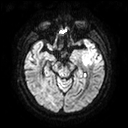
3 Tesla brain MRI.
Series: diffusion tensor imaging (medium iso).
Study: ring-enhancing brain masses.